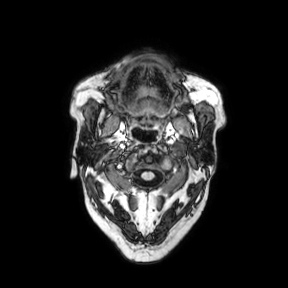
Case:
- modality: 3 Tesla brain MRI
- series: axial
- study: ring-enhancing brain masses